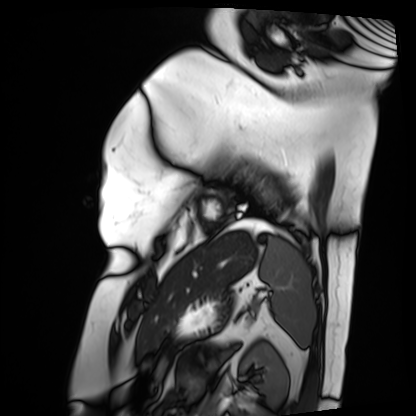
modality = cardiac MRI | subject group = patient.